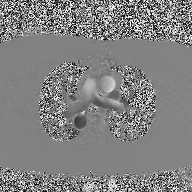
| field | value |
|---|---|
| modality | 2D phase-contrast cine MRI of the ascending aorta |